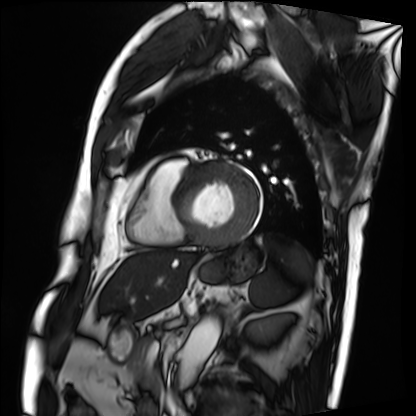
Clinical context:
Cardiac MRI. Subject group: patient.